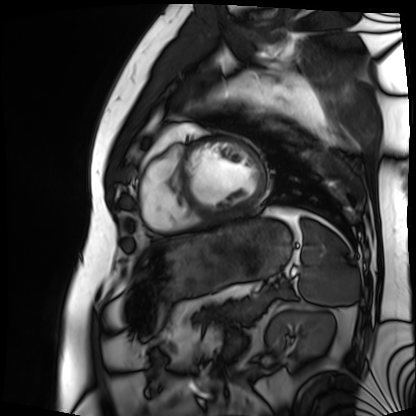
Clinical context: Cardiac MRI. Subject group: patient.